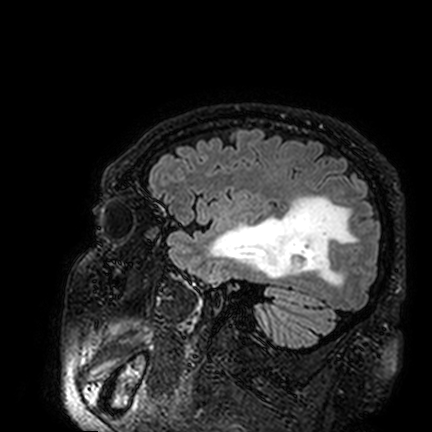
– modality: 3 Tesla brain MRI
– series: FLAIR VISTA
– study: ring-enhancing brain masses